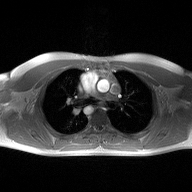
2D phase-contrast cine MRI of the ascending aorta, high-resolution GRAPPA acquisition.